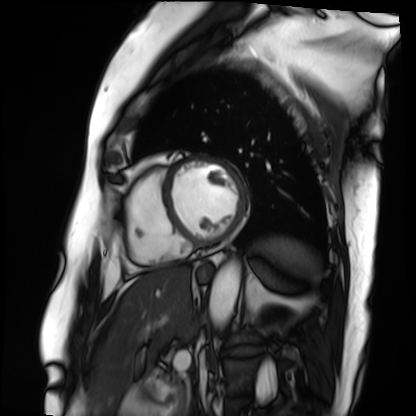
modality=cardiac MRI
subject group=patient